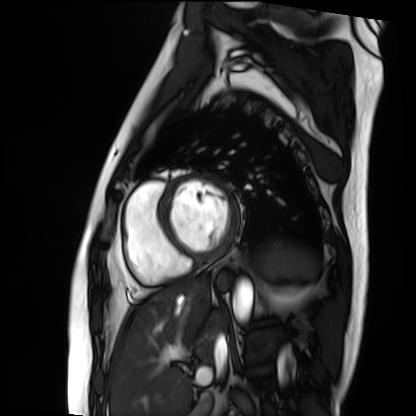
Cardiac MRI.
Subject group: patient.